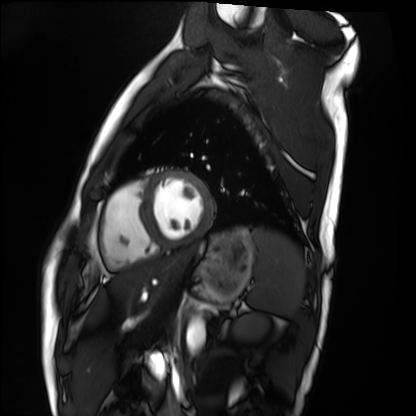
modality: cardiac MRI
subject group: healthy volunteer